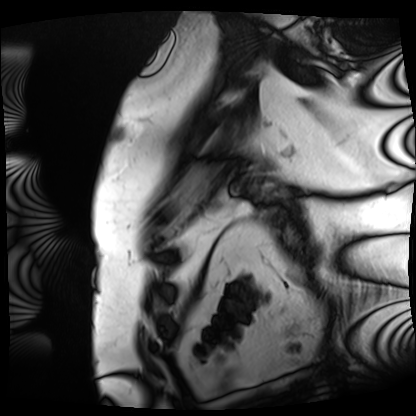
Summary: Cardiac MRI. Subject group: patient.